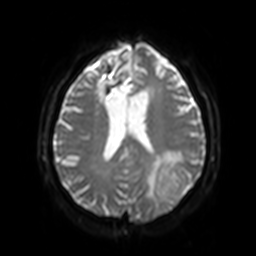
Q: What kind of scan is this?
A: 3 Tesla brain MRI.
Q: Series?
A: Diffusion-weighted imaging with SENSE (WIP).
Study: ring-enhancing brain masses.